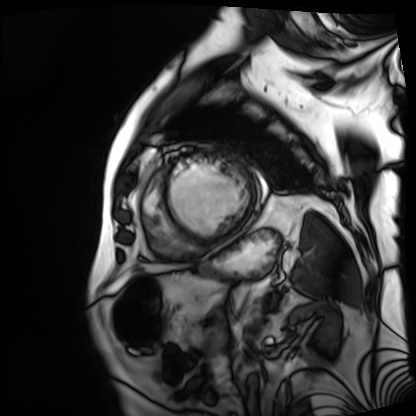
Clinical context: Cardiac MRI. Subject group: patient.